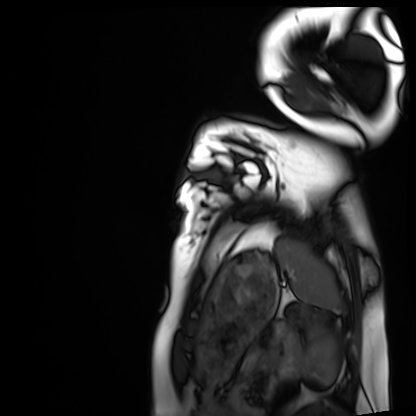
modality: cardiac MRI
cohort: healthy volunteer